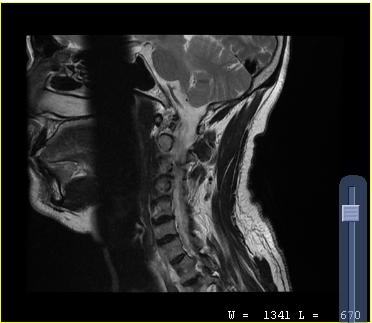
MRI of the cervical spine.
Study: cervical spondylosis.